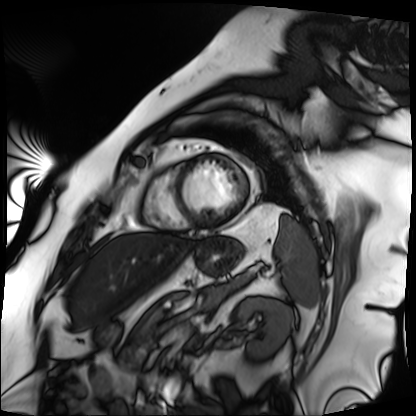
modality: cardiac MRI, subject group: patient.